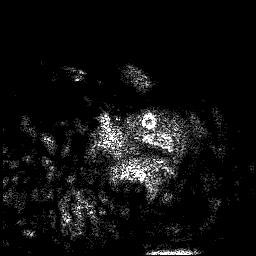
Summary: 3 Tesla brain MRI. Series: 3D T1-weighted. Study: ring-enhancing brain masses.